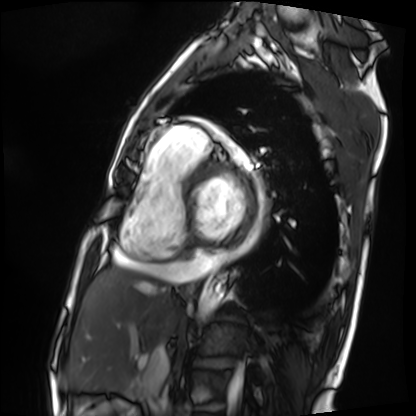
Cardiac MRI.
Subject group: patient.